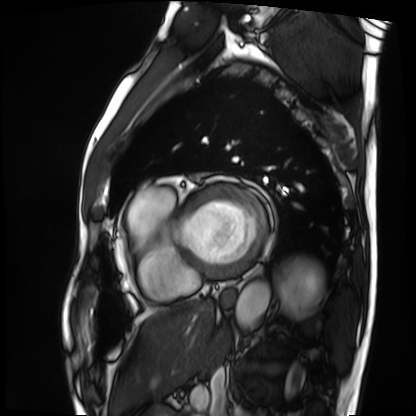
Cardiac MRI. Subject group: patient.